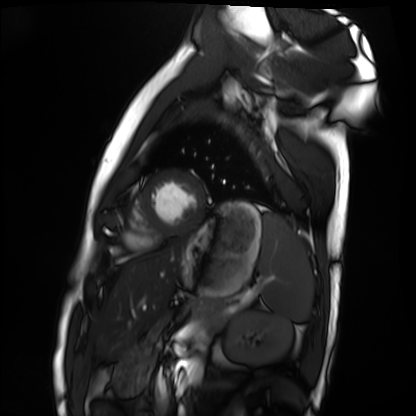
Q: What kind of scan is this?
A: Cardiac MRI.
Subject group: healthy volunteer.